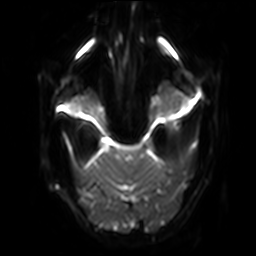
3 Tesla brain MRI.
Series: diffusion-weighted imaging with SENSE (WIP).
Study: ring-enhancing brain masses.